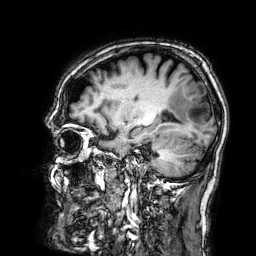
3 Tesla brain MRI.
Study: ring-enhancing brain masses.